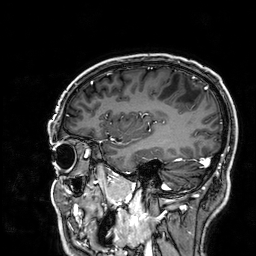
modality: 3 Tesla brain MRI
study: ring-enhancing brain masses